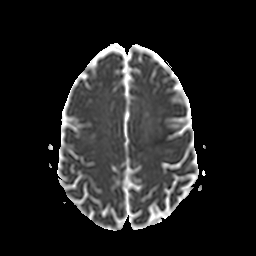
{
  "modality": {
    "type": "brain MRI",
    "field_strength": "3T"
  },
  "series": "apparent diffusion coefficient (ADC) map",
  "study_topic": "ring-enhancing brain masses"
}